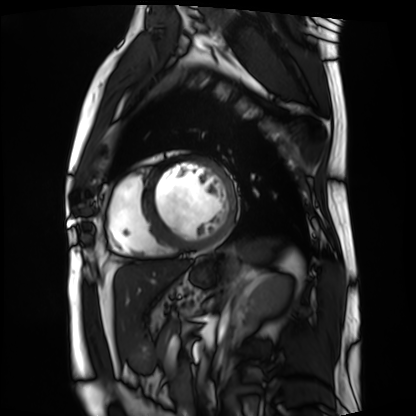
<record>
<modality>cardiac MRI</modality>
<cohort>patient</cohort>
</record>